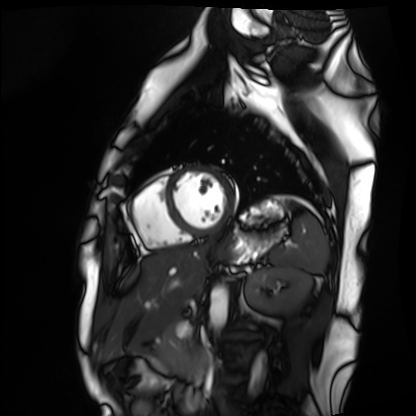
Cardiac MRI.
Subject group: healthy volunteer.